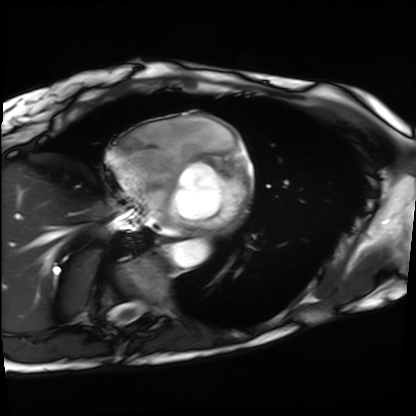
Cardiac MRI. Subject group: patient.